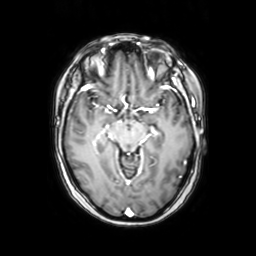
Clinical context: 3 Tesla brain MRI. Series: axial with contrast. Study: ring-enhancing brain masses.